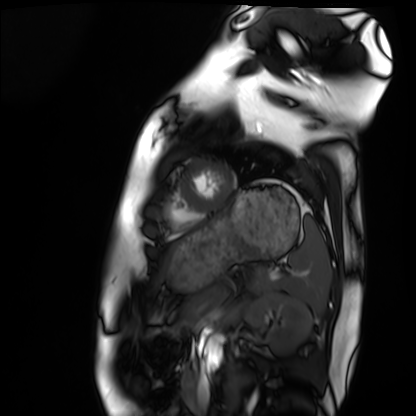
{
  "modality": "cardiac MRI",
  "cohort": "healthy volunteer"
}